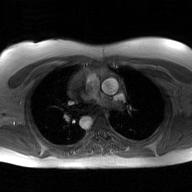
2D phase-contrast cine MRI of the ascending aorta, GAN super-resolution reconstruction.